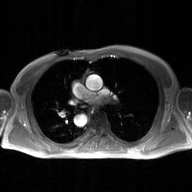
2D phase-contrast cine MRI of the ascending aorta, GAN super-resolution reconstruction.